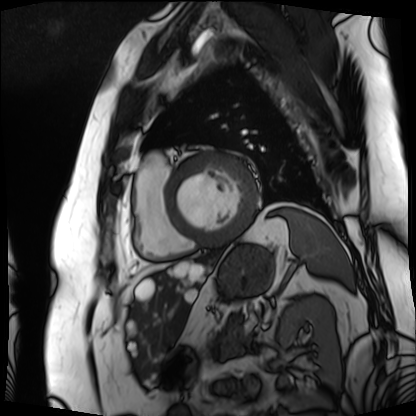
modality: cardiac MRI
subject group: patient